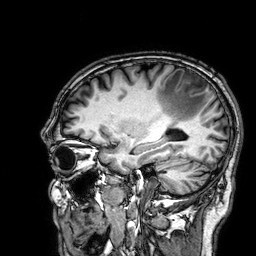
modality = 3 Tesla brain MRI
study = ring-enhancing brain masses